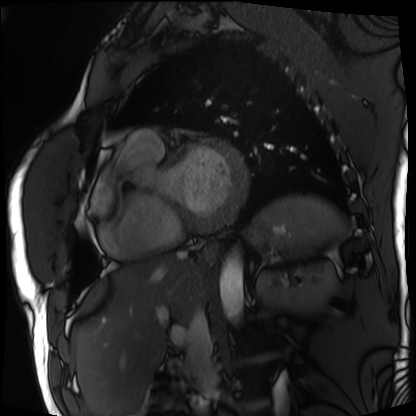
Cardiac MRI. Subject group: patient.